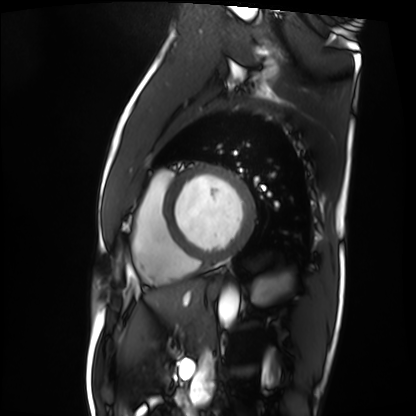
* modality: cardiac MRI
* subject group: patient